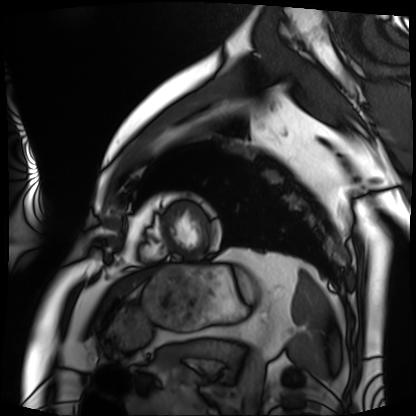
Cardiac MRI. Subject group: patient.